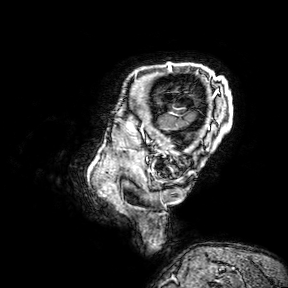
3 Tesla brain MRI.
Series: 3D T1-weighted turbo field echo with SENSE.
Study: ring-enhancing brain masses.